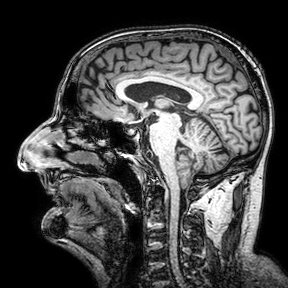
Q: What kind of scan is this?
A: 3 Tesla brain MRI.
Q: Series?
A: 3D T1-weighted turbo field echo with SENSE.
Study: ring-enhancing brain masses.